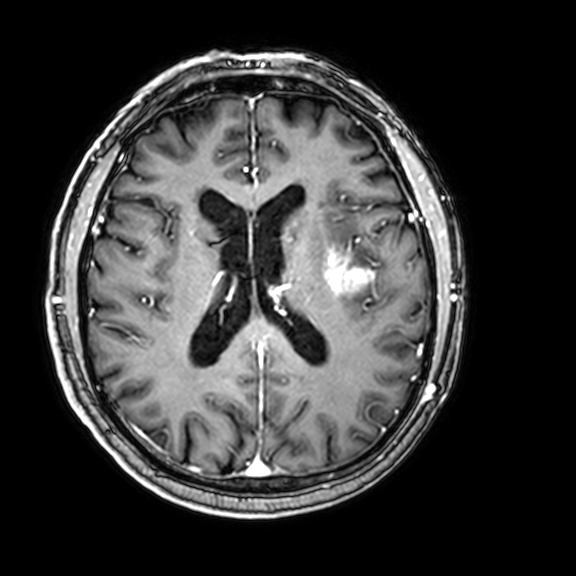
3 Tesla brain MRI.
Series: 3D T1-weighted with CLEAR.
Study: ring-enhancing brain masses.